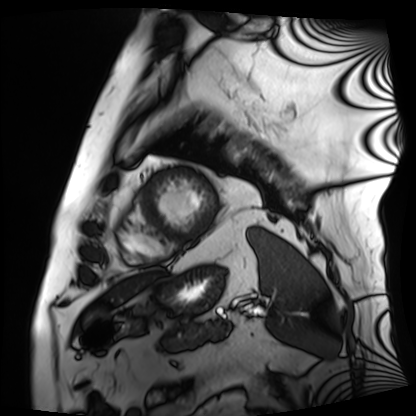
modality: cardiac MRI | subject group: patient.